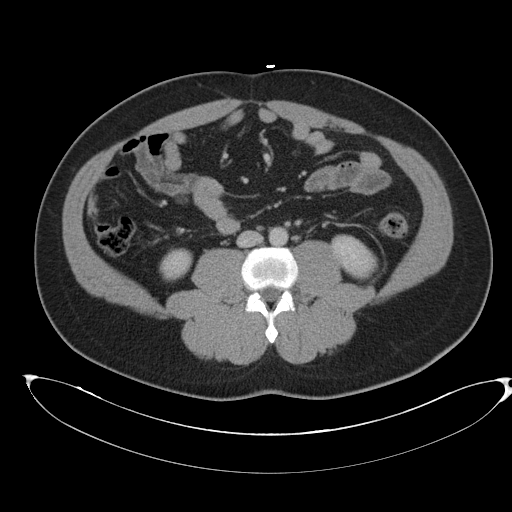
{
  "modality": {
    "type": "multiphase abdominal CT",
    "region": "liver",
    "phase": "portal venous"
  },
  "patient": {
    "sex": "male",
    "age": 43
  }
}